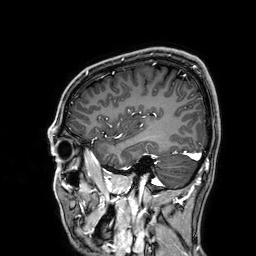
modality: 3 Tesla brain MRI
series: 3D T1-weighted
study: ring-enhancing brain masses